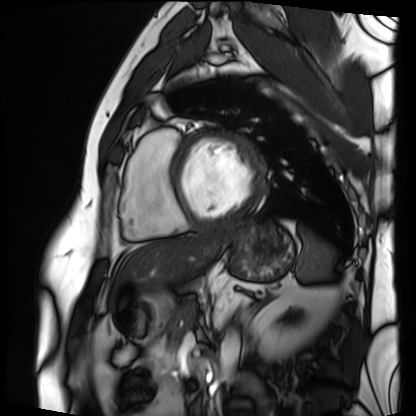
Cardiac MRI.
Subject group: patient.